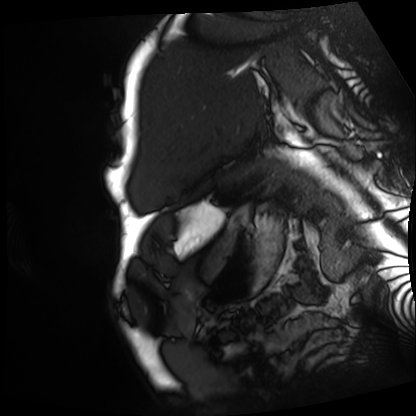
Q: What kind of scan is this?
A: Cardiac MRI.
Subject group: patient.